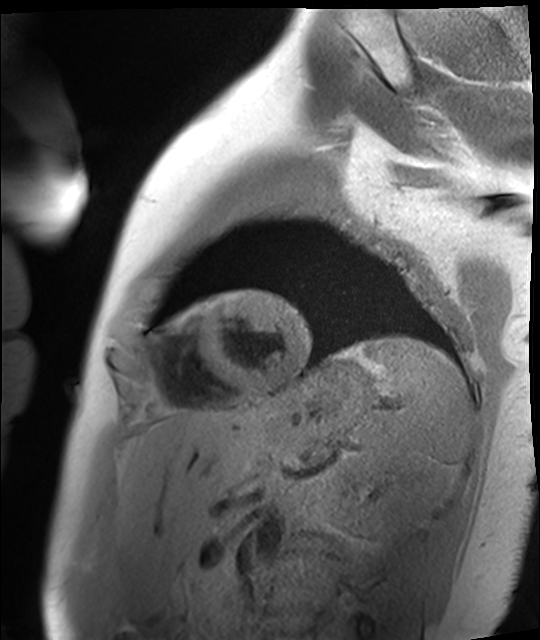
Cardiac MR image of the myocardium. Subject cohort: healthy volunteer.